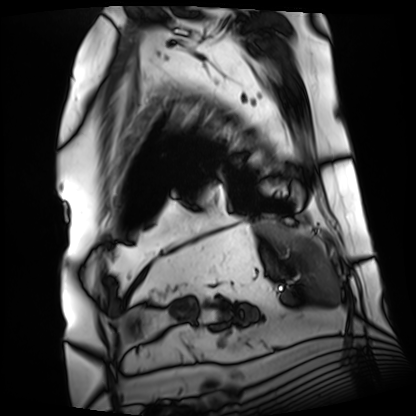
Cardiac MRI.
Subject group: patient.